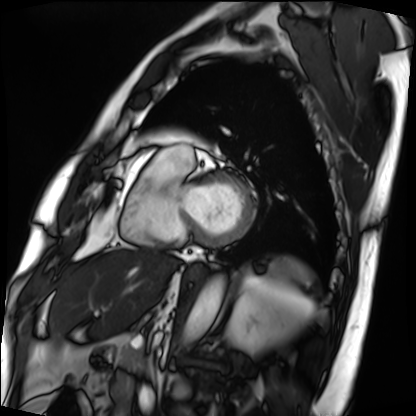
<record>
<modality>cardiac MRI</modality>
<cohort>patient</cohort>
</record>